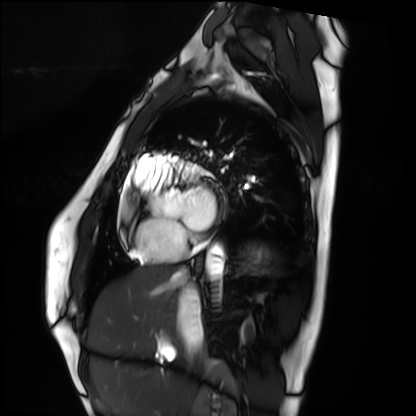
Case summary: Cardiac MRI. Subject group: healthy volunteer.